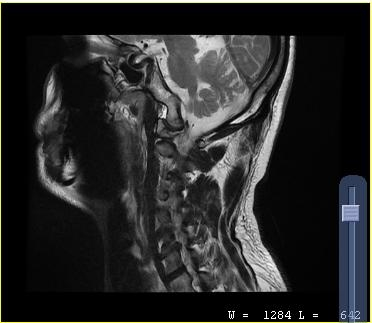
{"modality": {"type": "cervical spine MRI"}, "study_topic": "cervical spondylosis"}